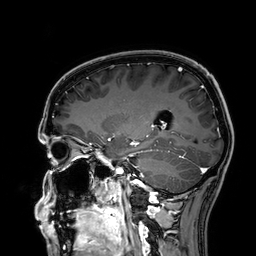
Clinical context:
3 Tesla brain MRI. Series: 3D T1-weighted. Study: ring-enhancing brain masses.